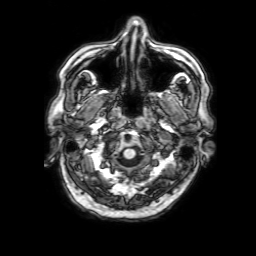
Case summary:
3 Tesla brain MRI. Series: 3D T1-weighted with SENSE. Study: ring-enhancing brain masses.